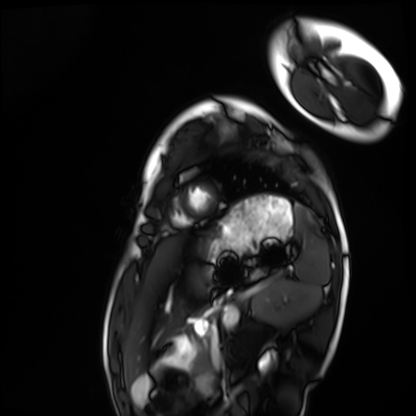
Cardiac MRI. Subject group: healthy volunteer.